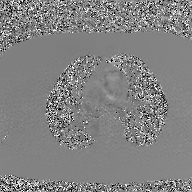
modality: 2D phase-contrast cine MRI of the ascending aorta, GAN super-resolution reconstruction